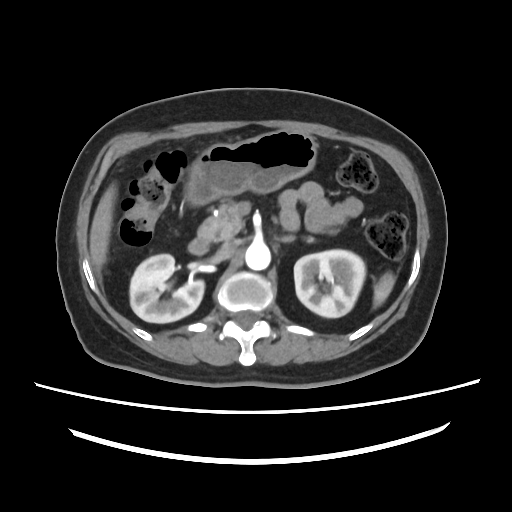
Q: What kind of scan is this?
A: Multiphase abdominal CT, liver, arterial phase.
Q: Patient?
A: Female, age 63.